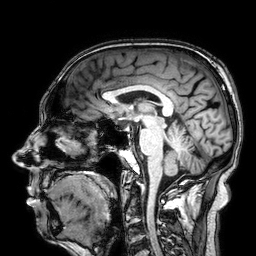
Q: What kind of scan is this?
A: 3 Tesla brain MRI.
Study: ring-enhancing brain masses.